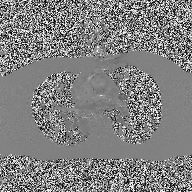
2D phase-contrast cine MRI of the ascending aorta, high-resolution GRAPPA acquisition.